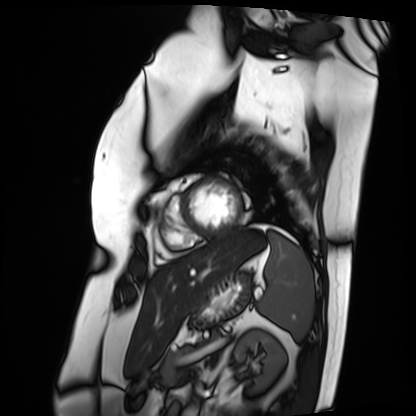
• modality: cardiac MRI
• subject group: patient